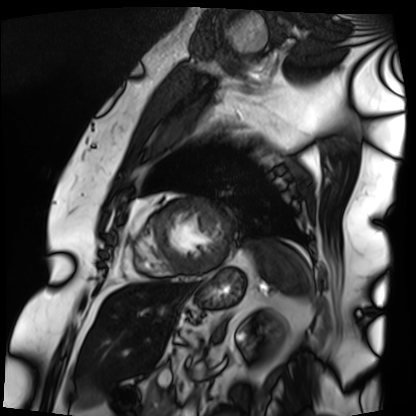
Cardiac MRI. Subject group: patient.